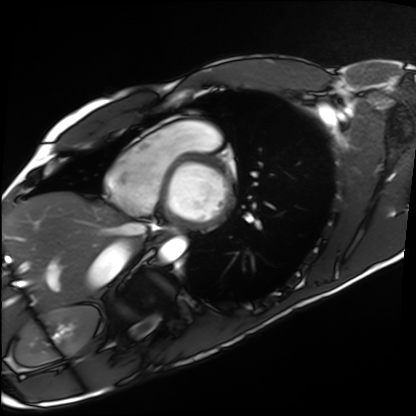
Case summary:
Cardiac MRI. Subject group: healthy volunteer.